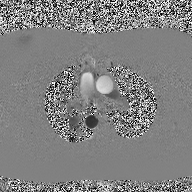
2D phase-contrast cine MRI of the ascending aorta, high-resolution GRAPPA acquisition.